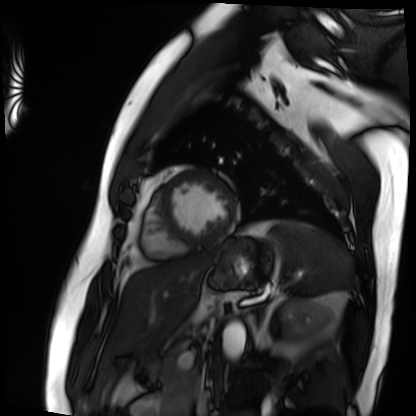
Q: What kind of scan is this?
A: Cardiac MRI.
Subject group: patient.